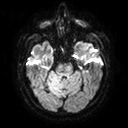
modality — 3 Tesla brain MRI | series — diffusion tensor imaging (medium iso) | study — ring-enhancing brain masses.